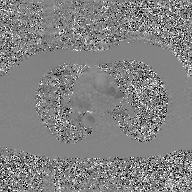
Case:
• modality · 2D phase-contrast cine MRI of the ascending aorta, GAN super-resolution reconstruction